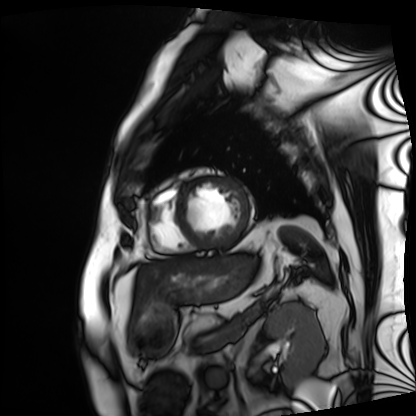
<case>
  <modality>cardiac MRI</modality>
  <cohort>patient</cohort>
</case>